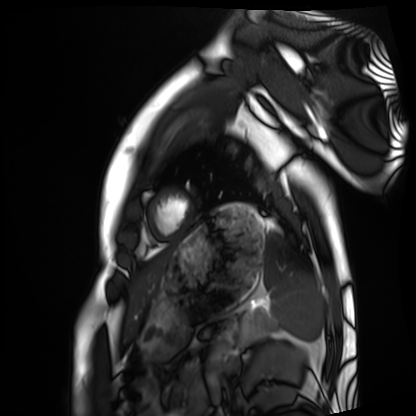
– modality · cardiac MRI
– subject group · healthy volunteer